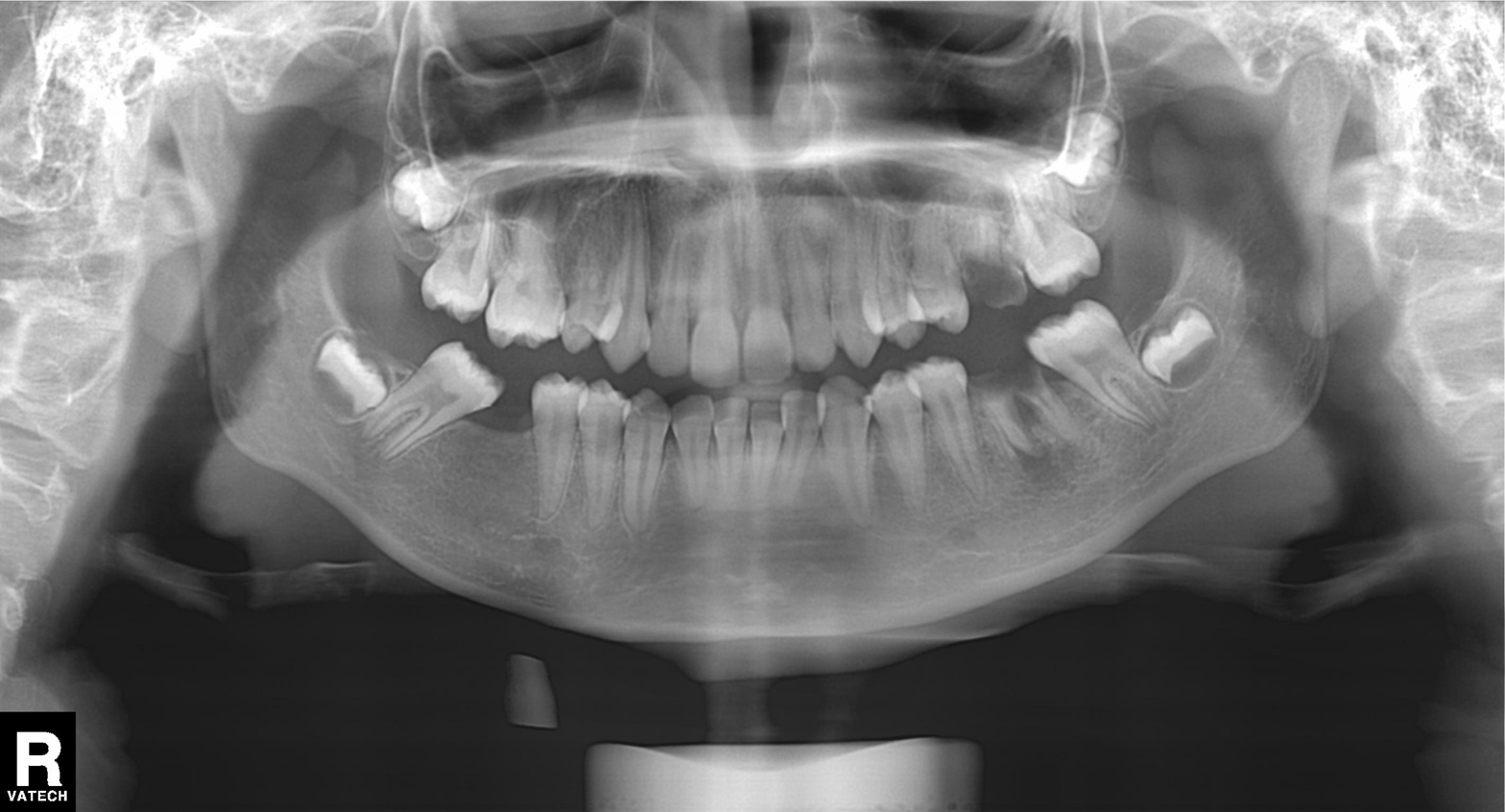
Summary: Panoramic dental radiograph (orthopantomogram).
Diagnosis: Tooth impaction.